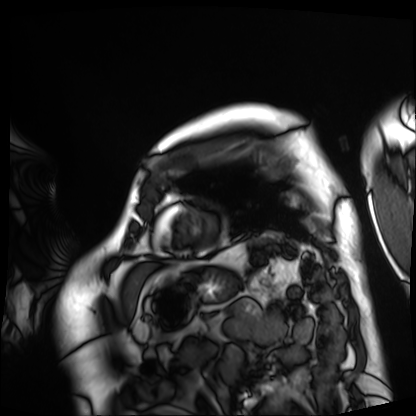
Case summary: Cardiac MRI. Subject group: patient.